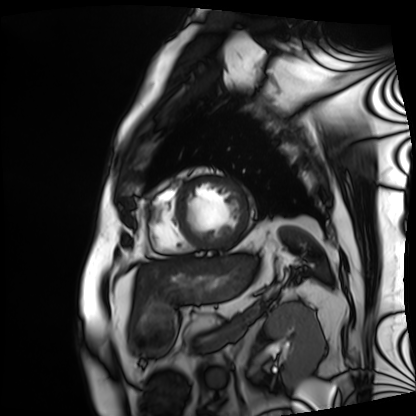
modality: cardiac MRI, subject group: patient.